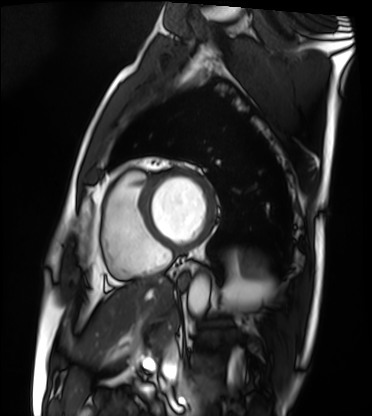
Summary: Cardiac MRI. Subject group: patient.